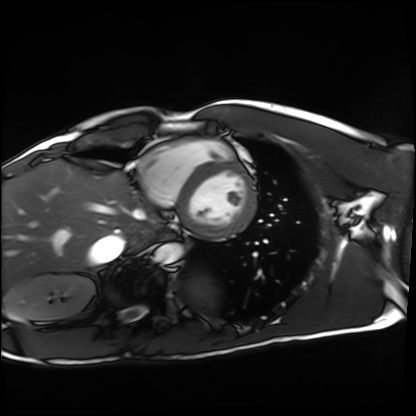
Case summary:
Cardiac MRI. Subject group: healthy volunteer.